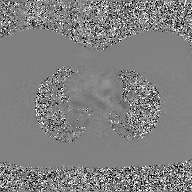
2D phase-contrast cine MRI of the ascending aorta, GAN super-resolution reconstruction.